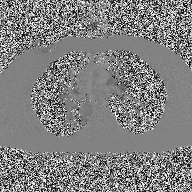
2D phase-contrast cine MRI of the ascending aorta, high-resolution GRAPPA acquisition.